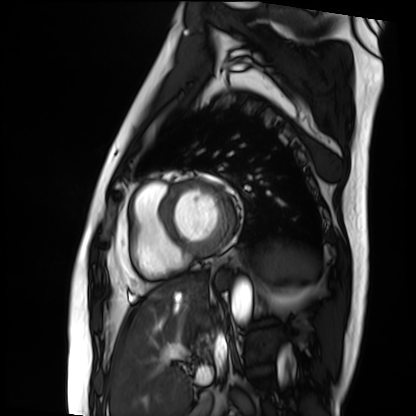
modality: cardiac MRI
subject group: patient